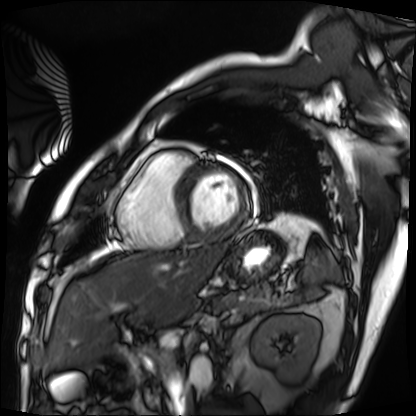
| field | value |
|---|---|
| modality | cardiac MRI |
| subject group | patient |